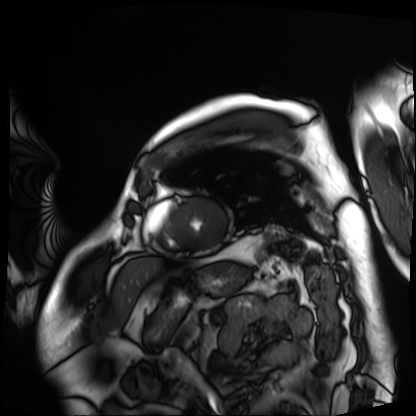
Case summary: Cardiac MRI. Subject group: patient.